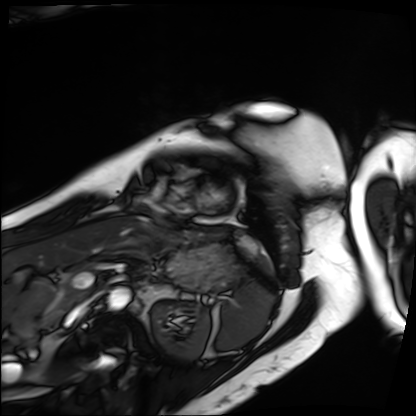
- modality — cardiac MRI
- subject group — patient